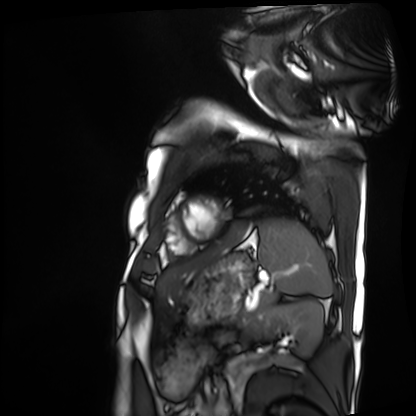
Cardiac MRI. Subject group: patient.